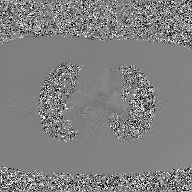
{"modality": {"type": "2D phase-contrast cine MRI", "region": "ascending aorta", "reconstruction": "GAN super-resolution reconstruction"}}